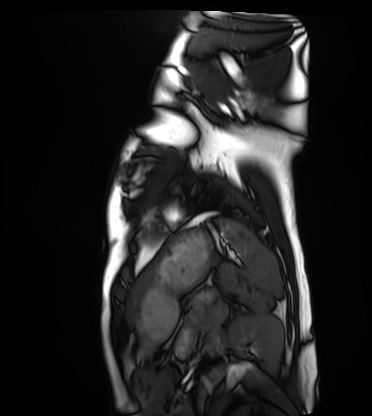
Summary:
Cardiac MRI. Subject group: healthy volunteer.